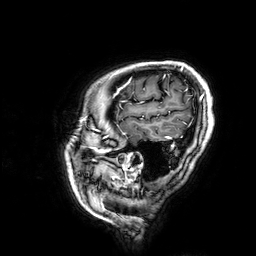
3 Tesla brain MRI.
Series: 3D T1-weighted.
Study: ring-enhancing brain masses.